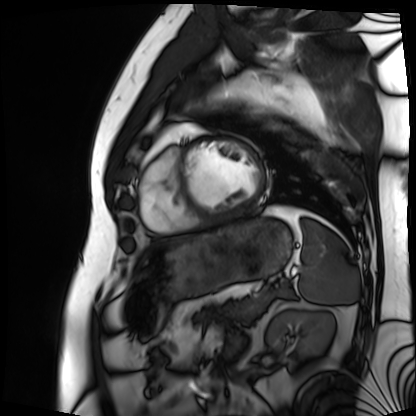
Clinical context:
Cardiac MRI. Subject group: patient.